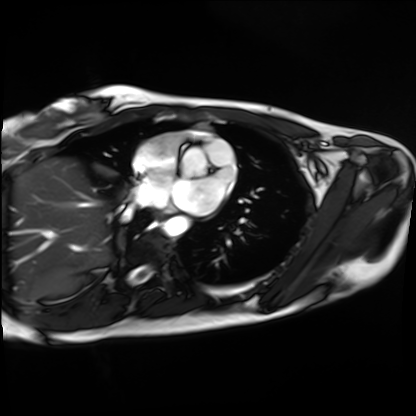
modality = cardiac MRI
subject group = healthy volunteer